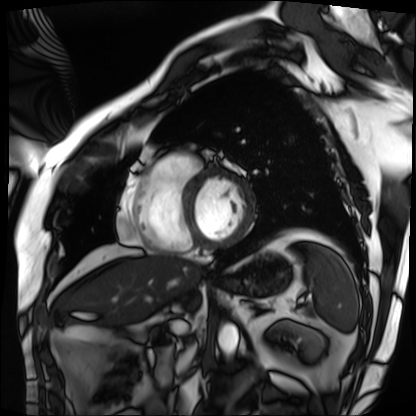
Case:
* modality · cardiac MRI
* subject group · patient